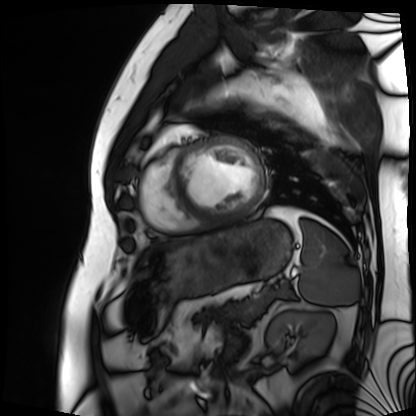
| field | value |
|---|---|
| modality | cardiac MRI |
| subject group | patient |